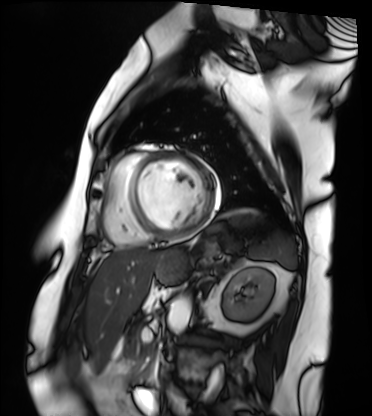
Case summary: Cardiac MRI. Subject group: patient.